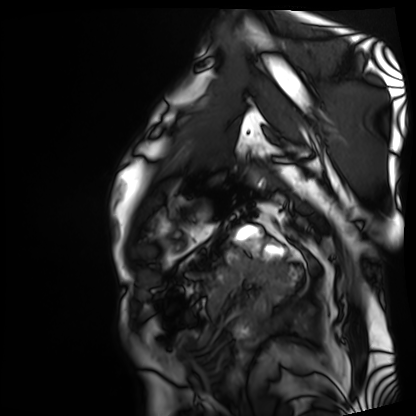
Cardiac MRI.
Subject group: patient.